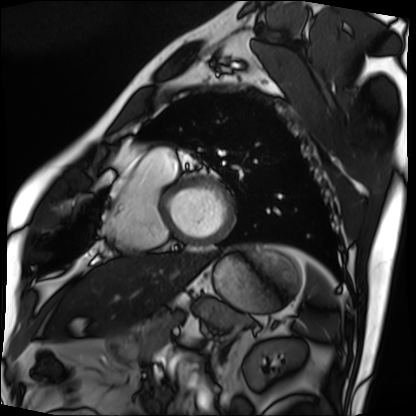
Cardiac MRI. Subject group: patient.